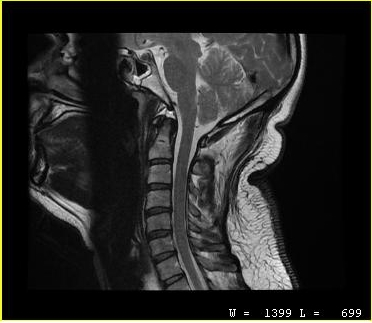
MRI of the cervical spine.
Study: cervical spondylosis.